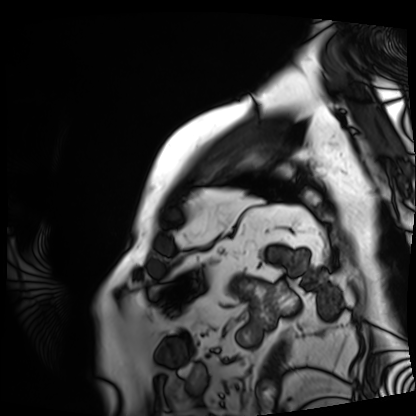
Cardiac MRI.
Subject group: patient.